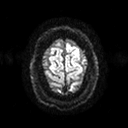
modality: 3 Tesla brain MRI; series: diffusion tensor imaging (medium iso); study: ring-enhancing brain masses.